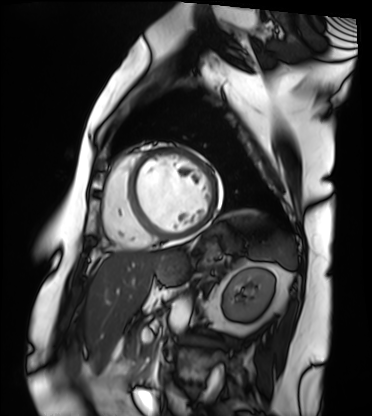
Q: What kind of scan is this?
A: Cardiac MRI.
Subject group: patient.